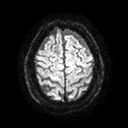
Case:
– modality: 3 Tesla brain MRI
– series: diffusion tensor imaging (medium iso)
– study: ring-enhancing brain masses